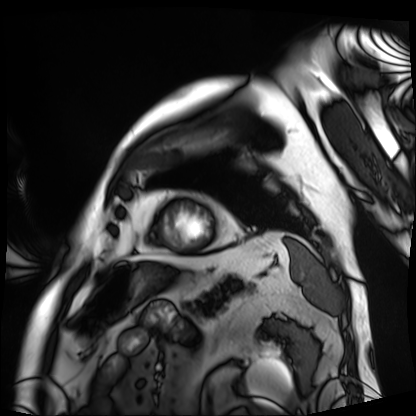
modality: cardiac MRI
cohort: patient